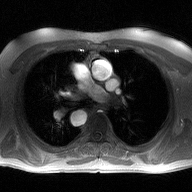
Clinical context:
2D phase-contrast cine MRI of the ascending aorta, high-resolution GRAPPA acquisition.